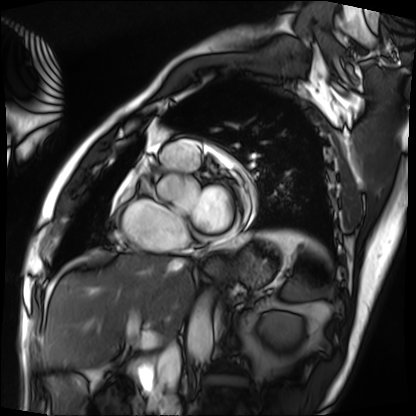
Summary:
Cardiac MRI. Subject group: patient.